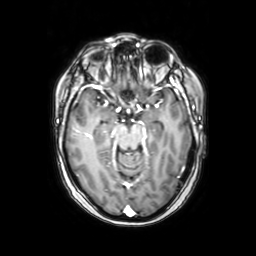
3 Tesla brain MRI. Series: axial with contrast. Study: ring-enhancing brain masses.